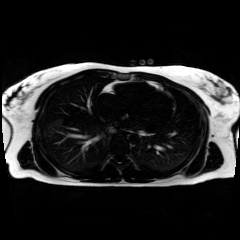
Chemical-shift-encoded cardiac MRI.